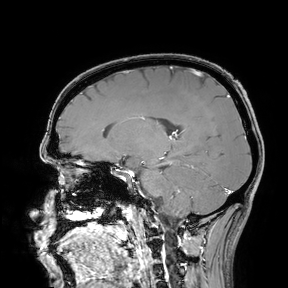
<case>
  <modality>
    <type>brain MRI</type>
    <field_strength>3T</field_strength>
  </modality>
  <study_topic>ring-enhancing brain masses</study_topic>
</case>